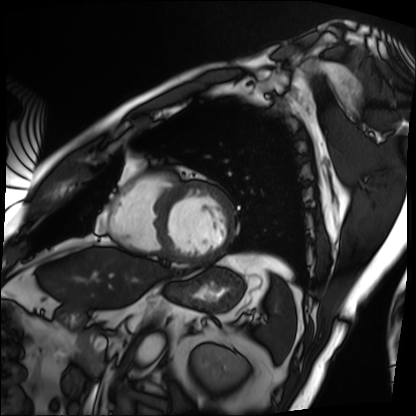
Cardiac MRI. Subject group: patient.